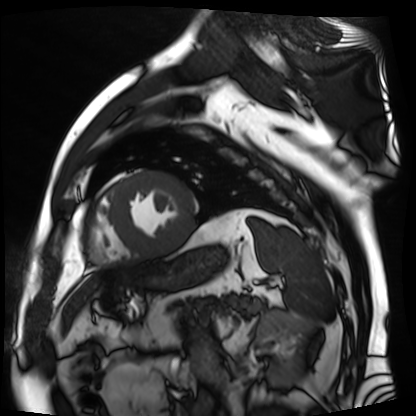
| field | value |
|---|---|
| modality | cardiac MR image of the myocardium |
| subject cohort | cardiac patient |